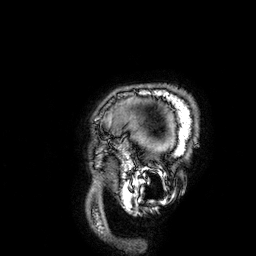
3 Tesla brain MRI. Series: 3D T1-weighted. Study: ring-enhancing brain masses.